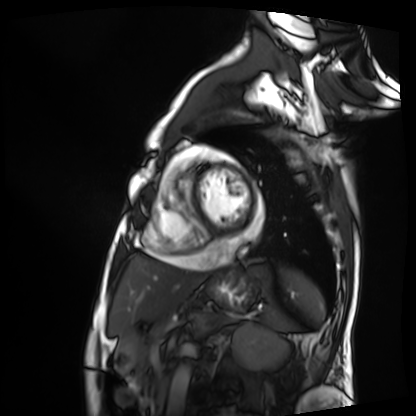
Cardiac MRI.
Subject group: patient.